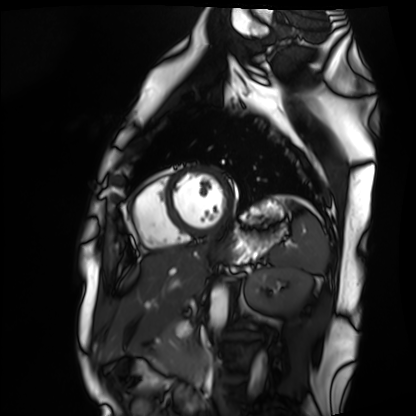
Cardiac MRI.
Subject group: healthy volunteer.